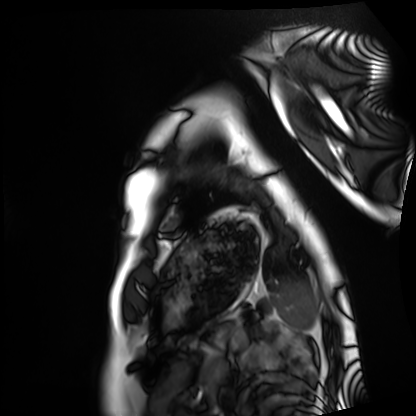
modality: cardiac MRI, subject group: healthy volunteer.